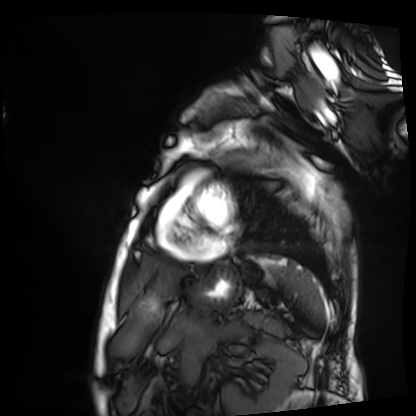
Cardiac MRI. Subject group: patient.